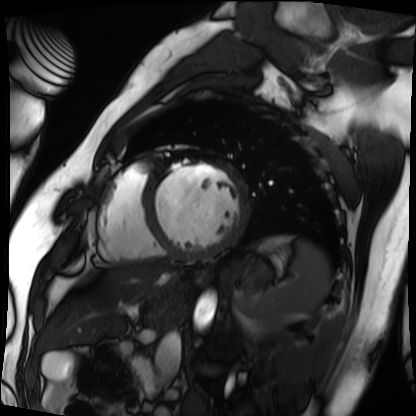
Cardiac MRI.
Subject group: patient.